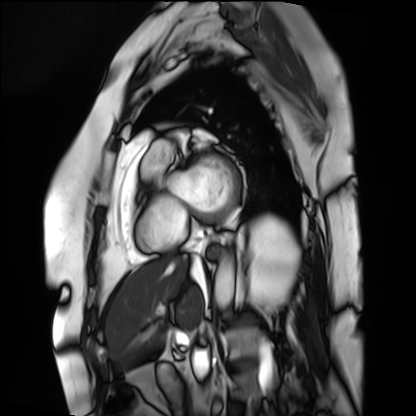
modality = cardiac MRI | subject group = patient.